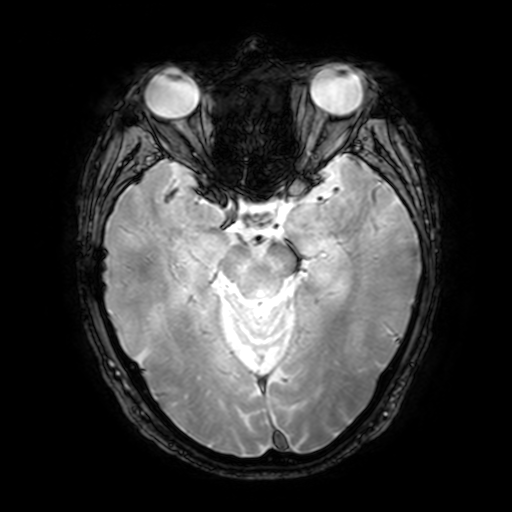
| field | value |
|---|---|
| modality | 3 Tesla brain MRI |
| series | T2-weighted fast field echo with SENSE |
| study | ring-enhancing brain masses |